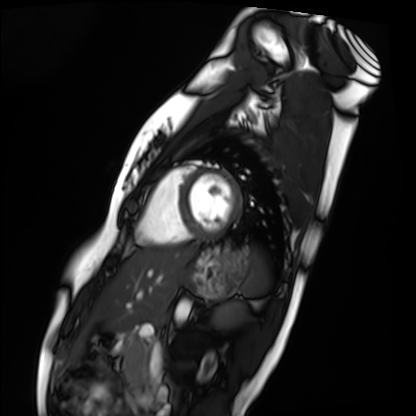
Cardiac MRI. Subject group: healthy volunteer.